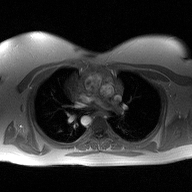
2D phase-contrast cine MRI of the ascending aorta, high-resolution GRAPPA acquisition.